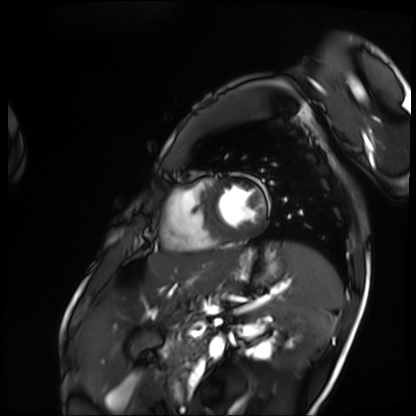
modality: cardiac MRI; subject group: patient.